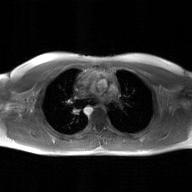
Summary:
2D phase-contrast cine MRI of the ascending aorta, GAN super-resolution reconstruction.